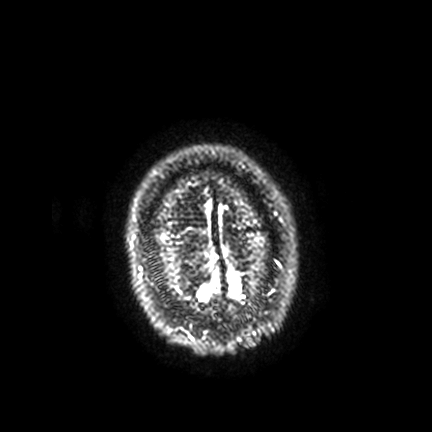
Clinical context:
3 Tesla brain MRI. Series: FLAIR VISTA with SENSE. Study: ring-enhancing brain masses.